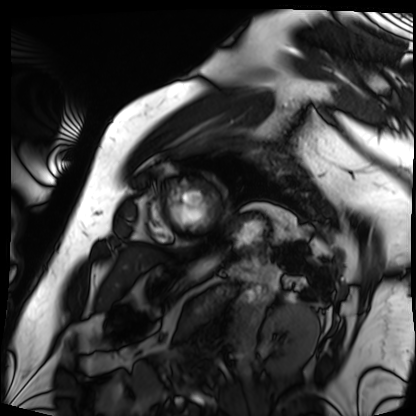
Clinical context:
Cardiac MRI. Subject group: patient.